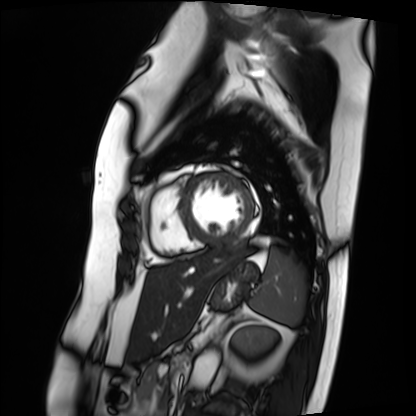
modality: cardiac MRI; subject group: patient.